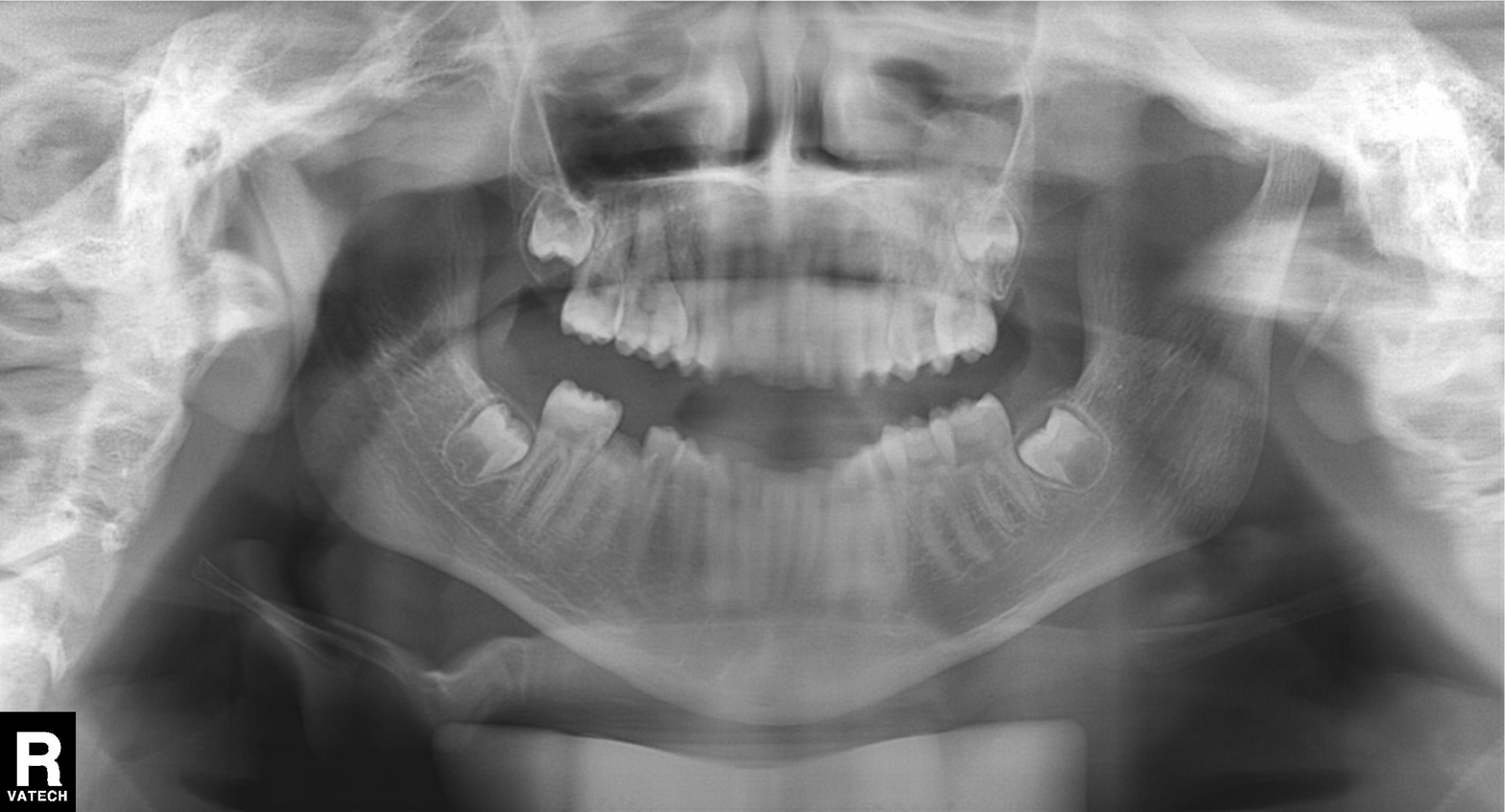
Summary: Panoramic dental radiograph (orthopantomogram).
Conclusion: Alveolar bone loss.